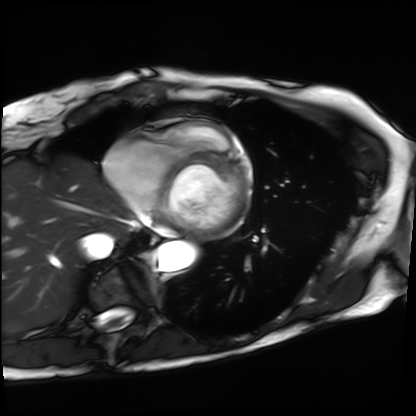
Case summary:
Cardiac MRI. Subject group: patient.